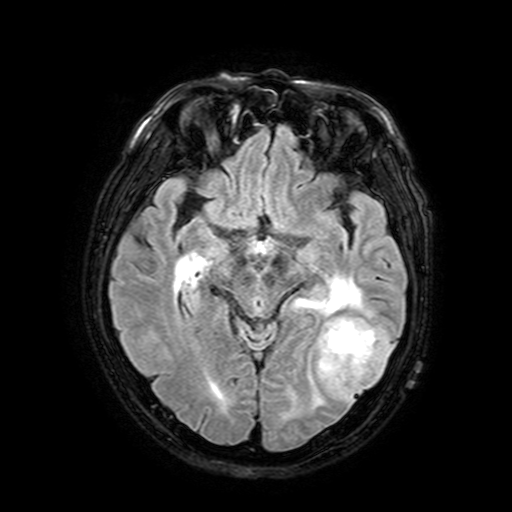
3 Tesla brain MRI.
Series: FLAIR with SPAIR, 3 mm.
Study: ring-enhancing brain masses.